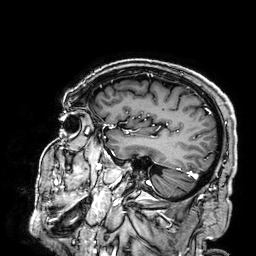
modality = 3 Tesla brain MRI | series = 3D T1-weighted | study = ring-enhancing brain masses.